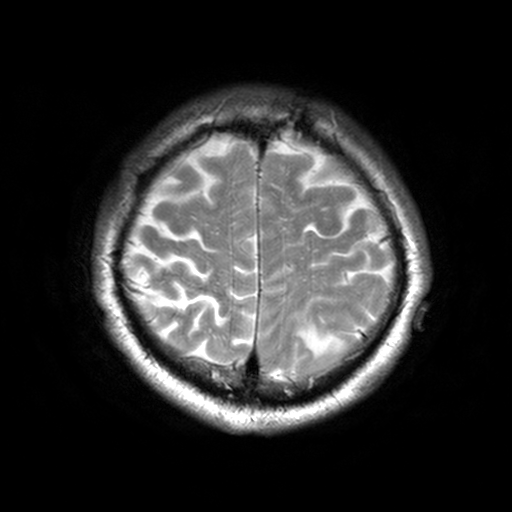
* modality: 3 Tesla brain MRI
* series: T2-weighted turbo spin echo, 3 mm
* study: ring-enhancing brain masses